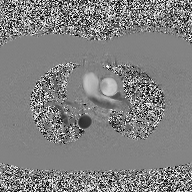
2D phase-contrast cine MRI of the ascending aorta, high-resolution GRAPPA acquisition.